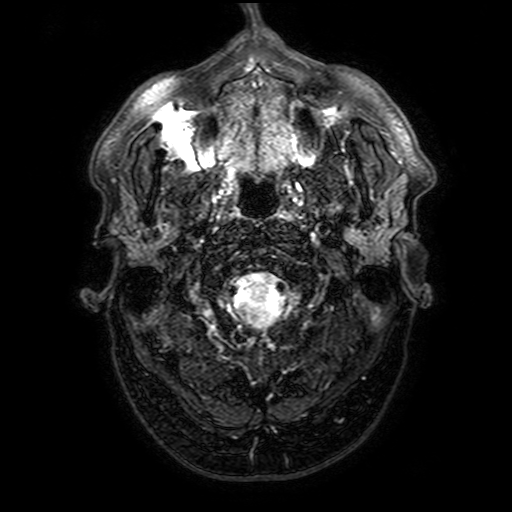
3 Tesla brain MRI.
Series: FLAIR with SPAIR, 3 mm.
Study: ring-enhancing brain masses.